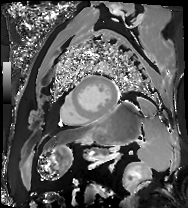
Clinical context:
Cardiac MR image of the myocardium. Subject cohort: cardiac patient.